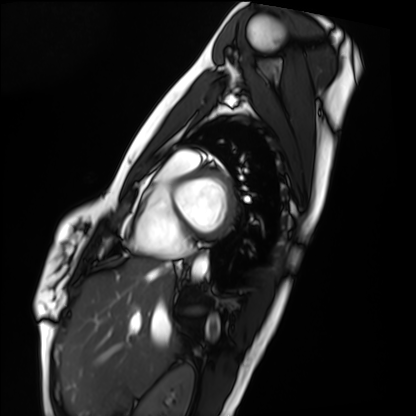
Case summary: Cardiac MRI. Subject group: healthy volunteer.